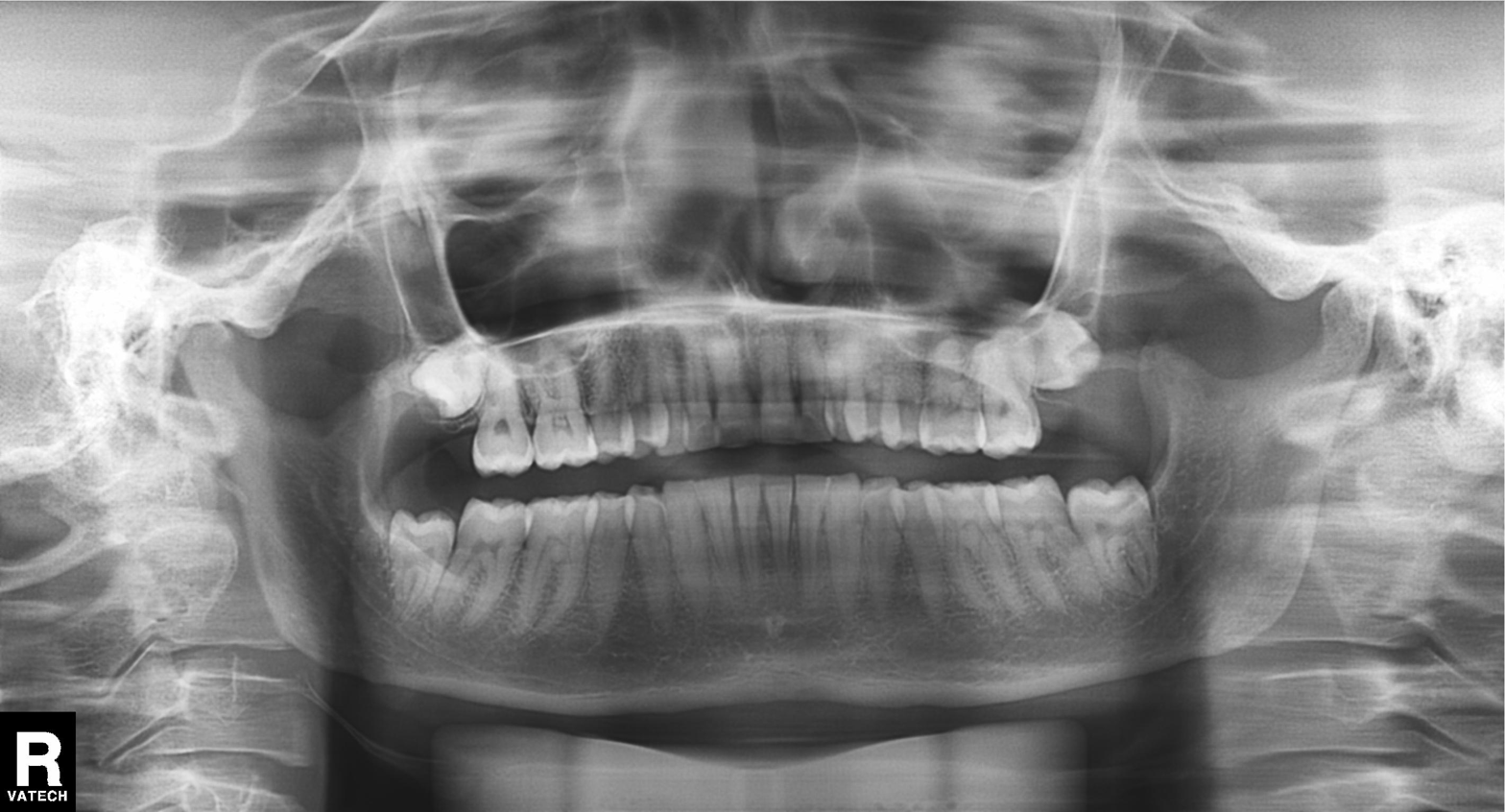
Panoramic dental radiograph (orthopantomogram). Finding: alveolar bone loss.